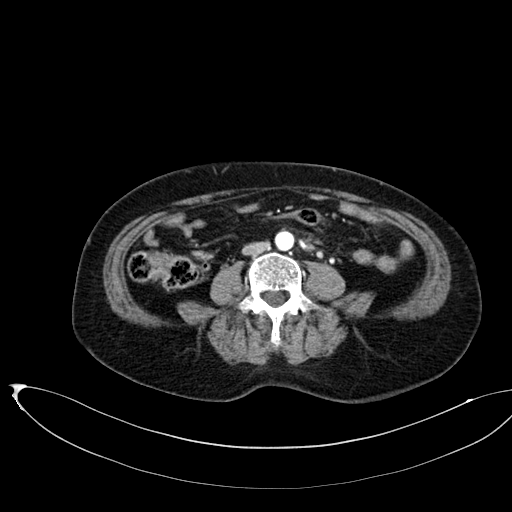
| field | value |
|---|---|
| modality | multiphase abdominal CT, liver, arterial phase |
| patient | female, age 58 |